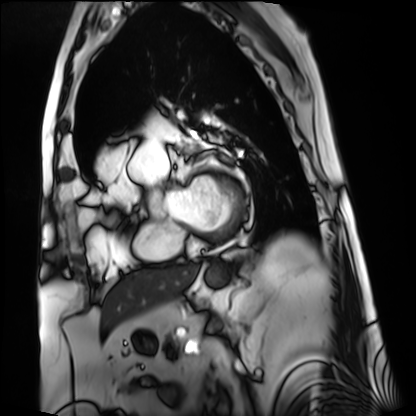
modality: cardiac MRI
subject group: patient